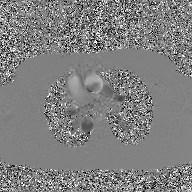
2D phase-contrast cine MRI of the ascending aorta, GAN super-resolution reconstruction.